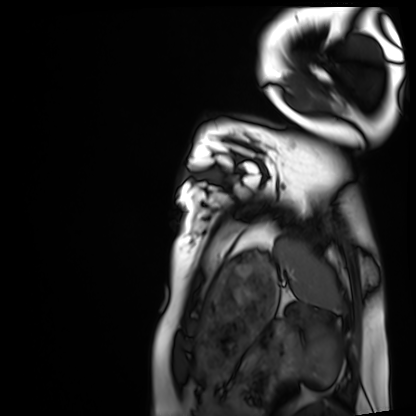
Cardiac MRI. Subject group: healthy volunteer.